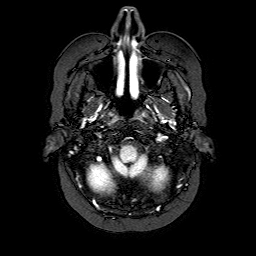
Q: What kind of scan is this?
A: 3 Tesla brain MRI.
Q: Series?
A: FLAIR with SPAIR.
Study: ring-enhancing brain masses.